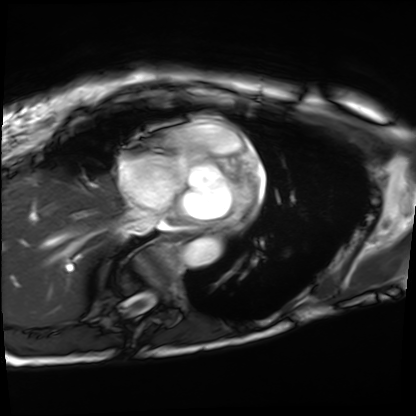
modality=cardiac MRI; subject group=patient.